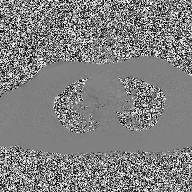
Case:
– modality: 2D phase-contrast cine MRI of the ascending aorta